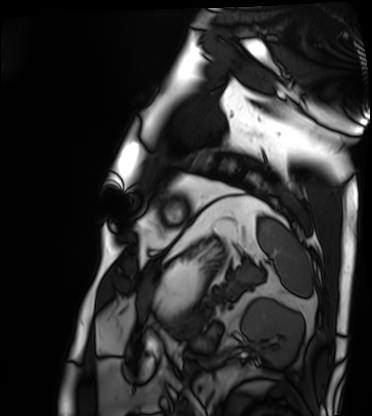
Summary: Cardiac MRI. Subject group: patient.